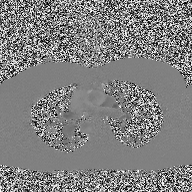
2D phase-contrast cine MRI of the ascending aorta, high-resolution GRAPPA acquisition.